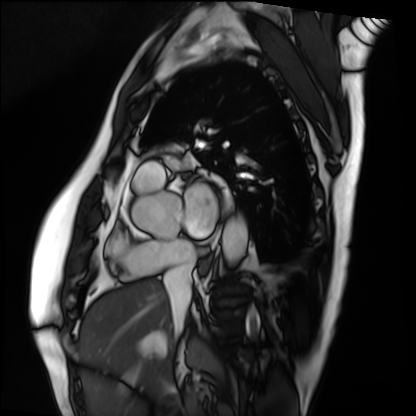
Cardiac MRI.
Subject group: patient.